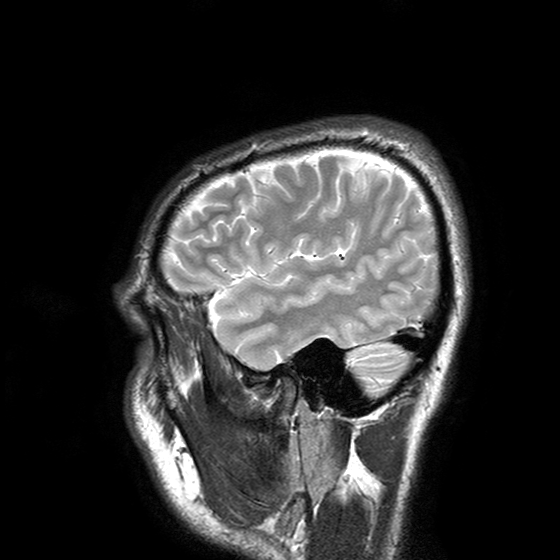
3 Tesla brain MRI.
Study: ring-enhancing brain masses.